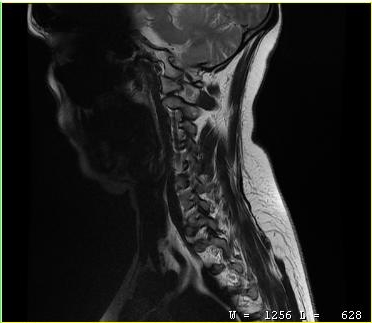
Q: What kind of scan is this?
A: MRI of the cervical spine.
Study: cervical spondylosis.